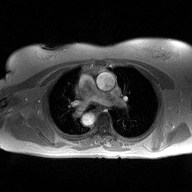
Case:
* modality — 2D phase-contrast cine MRI of the ascending aorta